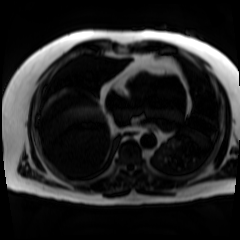
Chemical-shift-encoded cardiac MRI.